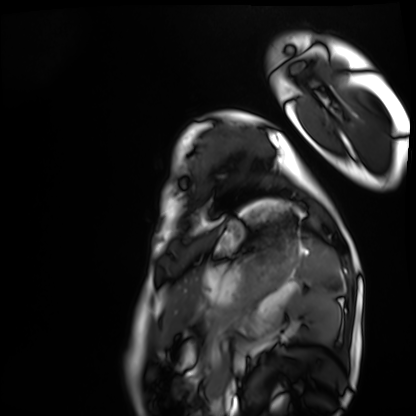
Case summary: Cardiac MRI. Subject group: healthy volunteer.